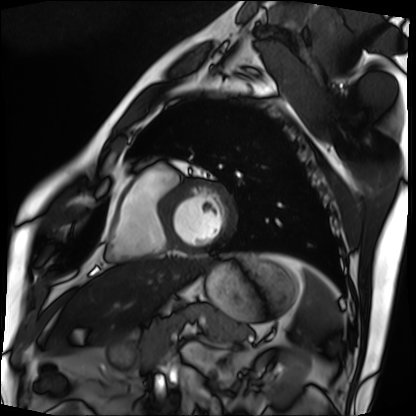
* modality · cardiac MRI
* subject group · patient